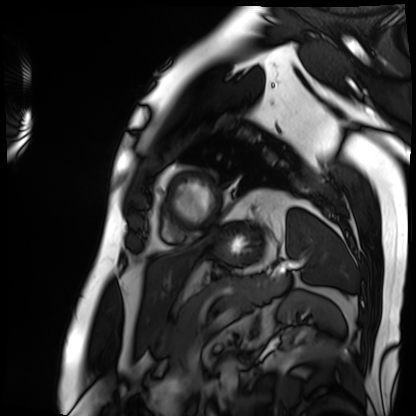
• modality — cardiac MRI
• subject group — patient